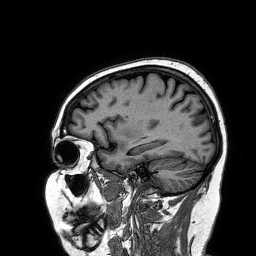
3 Tesla brain MRI. Series: 3D T1-weighted turbo field echo. Study: ring-enhancing brain masses.